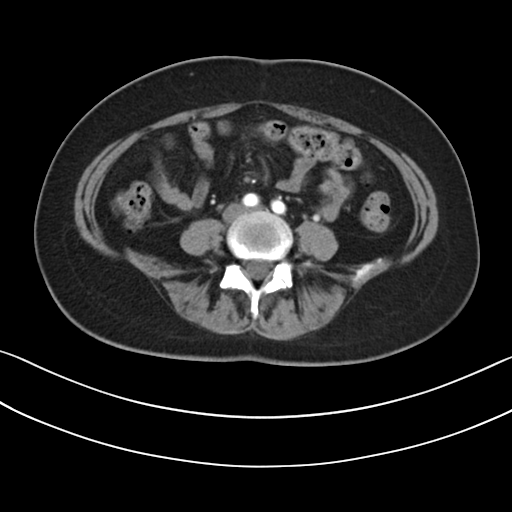
Case summary:
Multiphase abdominal CT, liver, arterial phase. Patient: female, age 41. History: prior chemotherapy.